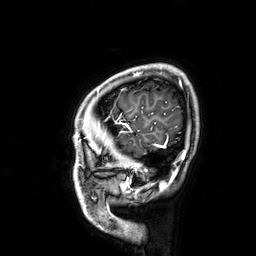
| field | value |
|---|---|
| modality | 3 Tesla brain MRI |
| series | 3D T1-weighted |
| study | ring-enhancing brain masses |